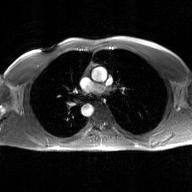
Q: What kind of scan is this?
A: 2D phase-contrast cine MRI of the ascending aorta, GAN super-resolution reconstruction.